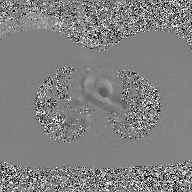
2D phase-contrast cine MRI of the ascending aorta, GAN super-resolution reconstruction.